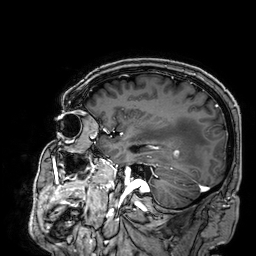
3 Tesla brain MRI.
Series: 3D T1-weighted.
Study: ring-enhancing brain masses.